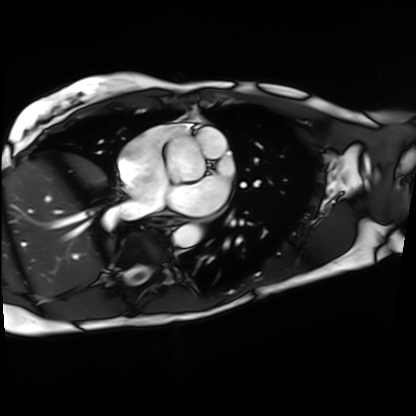
modality — cardiac MRI; subject group — patient.